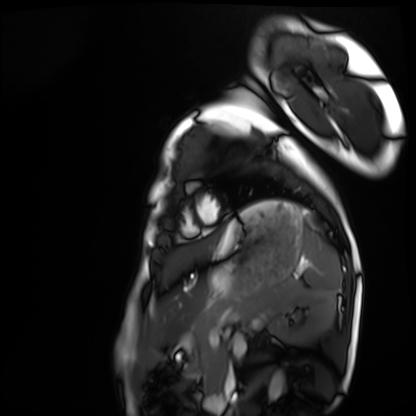
Cardiac MRI.
Subject group: healthy volunteer.